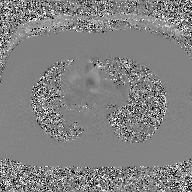
• modality · 2D phase-contrast cine MRI of the ascending aorta, GAN super-resolution reconstruction